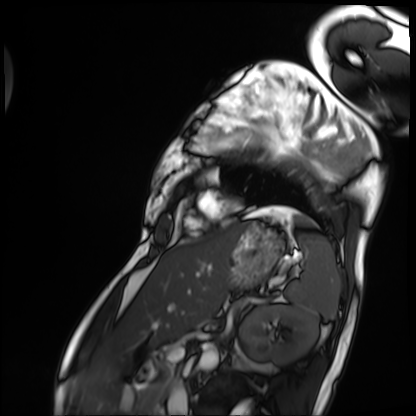
Cardiac MRI.
Subject group: patient.